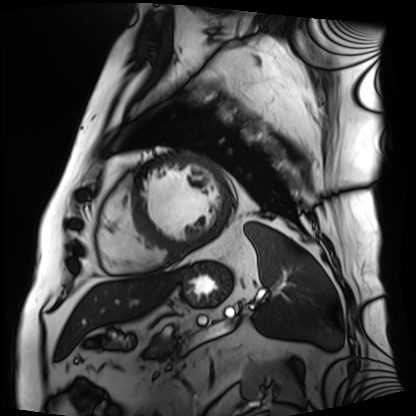
modality: cardiac MRI, subject group: patient.